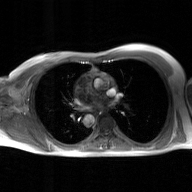
  modality:
    type: 2D phase-contrast cine MRI
    region: ascending aorta
    reconstruction: GAN super-resolution reconstruction